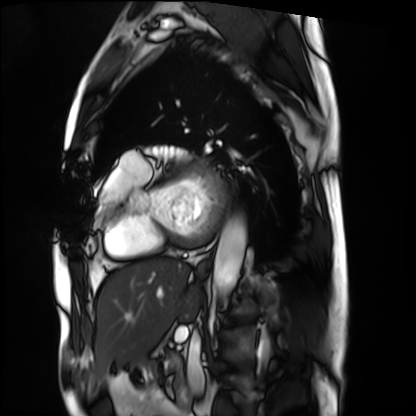
Clinical context:
Cardiac MRI. Subject group: patient.